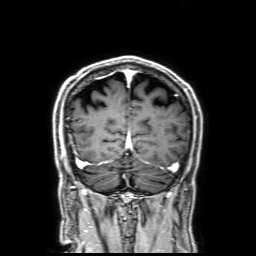
* modality: 3 Tesla brain MRI
* series: 3D T1-weighted with SENSE
* study: ring-enhancing brain masses